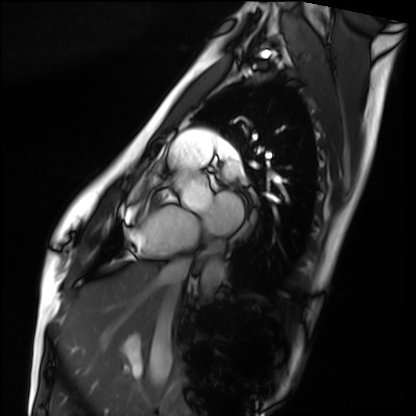
  modality: cardiac MRI
  cohort: healthy volunteer